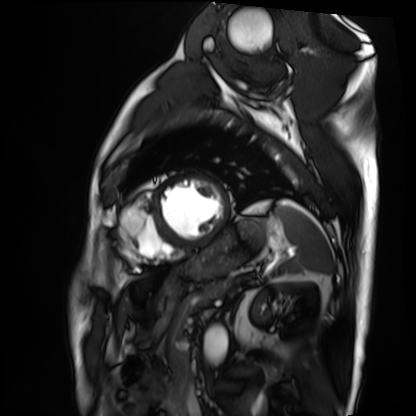
Q: What kind of scan is this?
A: Cardiac MRI.
Subject group: patient.